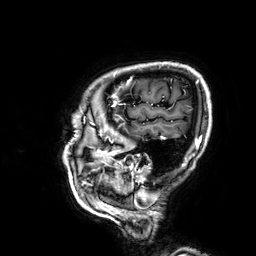
Summary: 3 Tesla brain MRI. Series: 3D T1-weighted. Study: ring-enhancing brain masses.